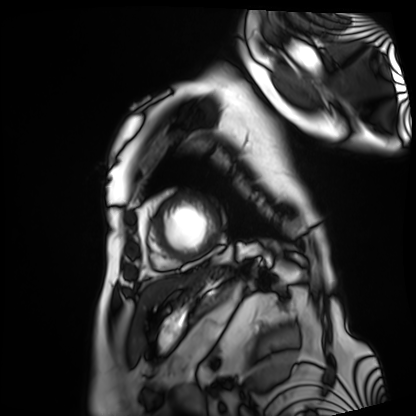
Cardiac MRI. Subject group: patient.